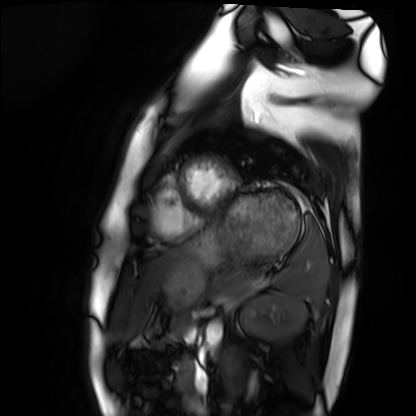
– modality — cardiac MRI
– subject group — healthy volunteer